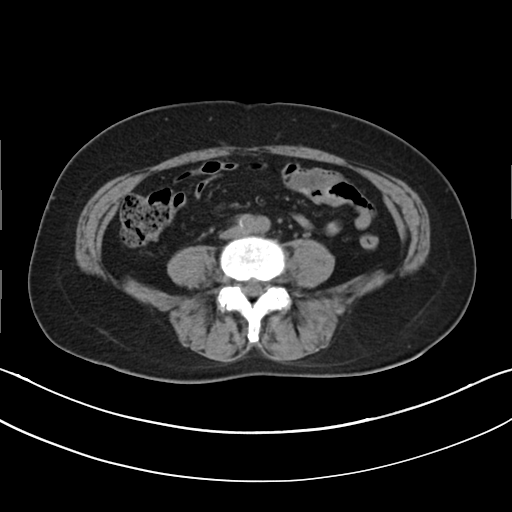
Clinical context:
Multiphase abdominal CT, liver, non-contrast phase. Patient: female, age 63.